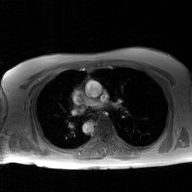
| field | value |
|---|---|
| modality | 2D phase-contrast cine MRI of the ascending aorta, GAN super-resolution reconstruction |